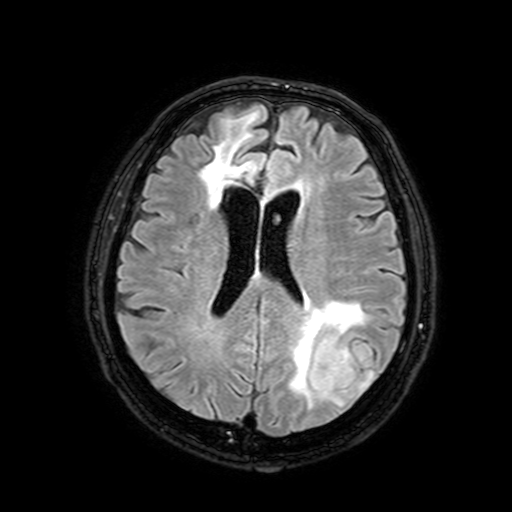
3 Tesla brain MRI. Series: FLAIR with SPAIR, 3 mm. Study: ring-enhancing brain masses.